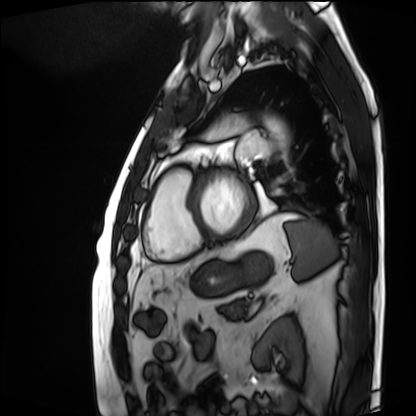
Summary: Cardiac MRI. Subject group: patient.